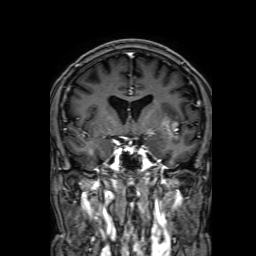
3 Tesla brain MRI. Series: 3D T1-weighted with SENSE. Study: ring-enhancing brain masses.